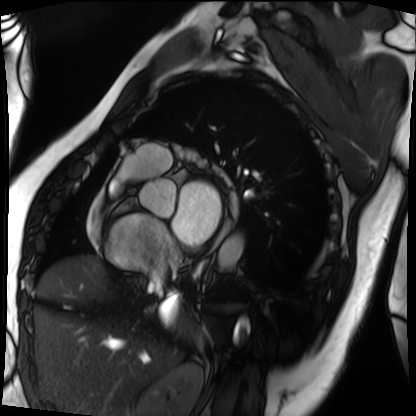
Case summary: Cardiac MRI. Subject group: patient.